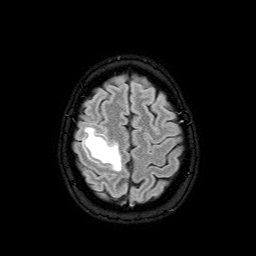
| field | value |
|---|---|
| modality | 3 Tesla brain MRI |
| series | FLAIR with SPAIR |
| study | ring-enhancing brain masses |